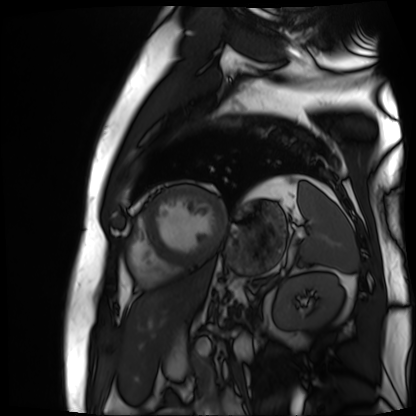
Cardiac MR image of the myocardium.
Subject cohort: cardiac patient.